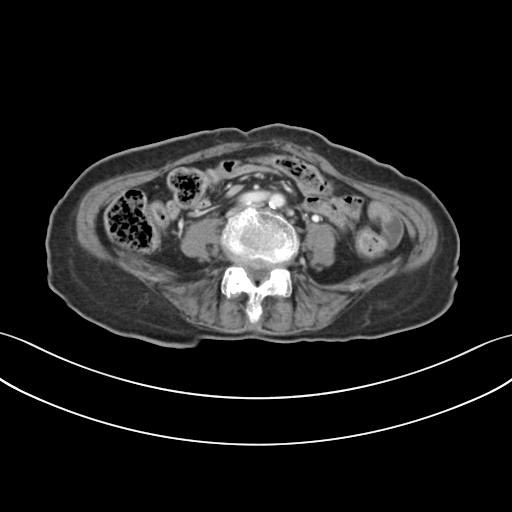
Multiphase abdominal CT, liver, portal venous phase. Patient: female, age 70. History: prior chemotherapy.